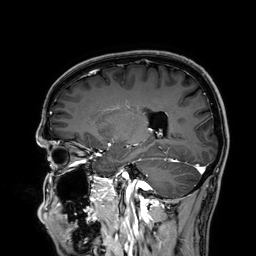
modality: 3 Tesla brain MRI
series: 3D T1-weighted
study: ring-enhancing brain masses